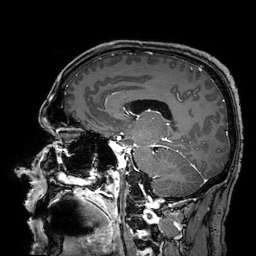
3 Tesla brain MRI. Series: 3D T1-weighted turbo field echo with SENSE. Study: ring-enhancing brain masses.